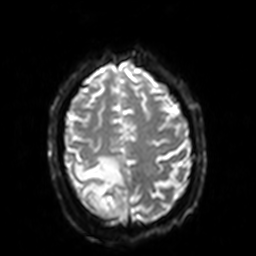
Summary: 3 Tesla brain MRI. Study: ring-enhancing brain masses.